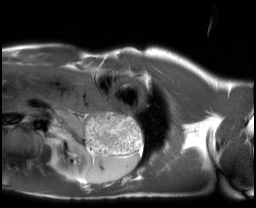
Summary: Cardiac MRI. Subject group: healthy volunteer.